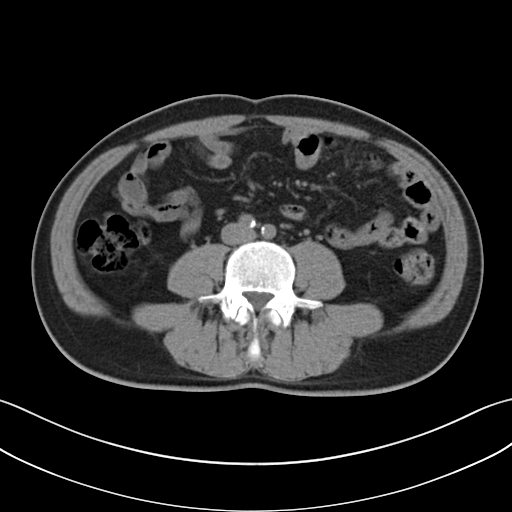
| field | value |
|---|---|
| modality | multiphase abdominal CT, liver, non-contrast phase |
| patient | male, age 48 |
| history | cirrhosis, viral hepatitis, prior chemotherapy |